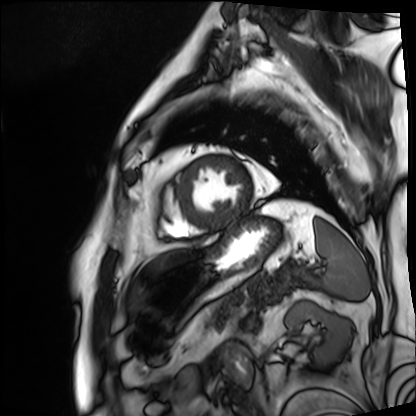
Q: What kind of scan is this?
A: Cardiac MRI.
Subject group: patient.